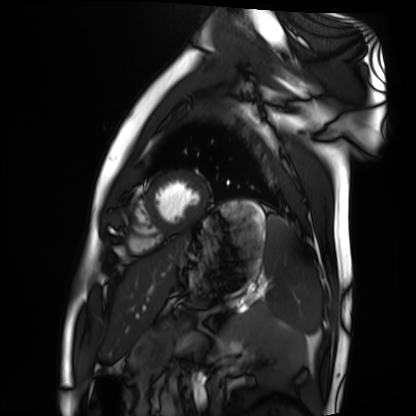
Summary:
Cardiac MRI. Subject group: healthy volunteer.